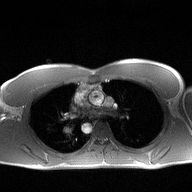
Summary:
2D phase-contrast cine MRI of the ascending aorta, high-resolution GRAPPA acquisition.